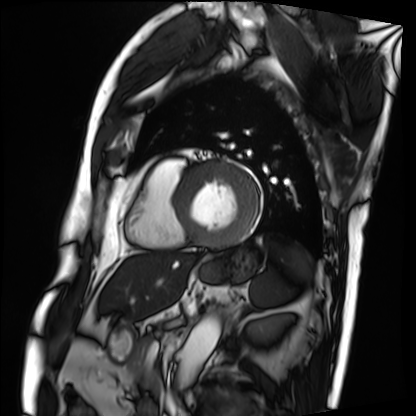
modality: cardiac MRI
cohort: patient